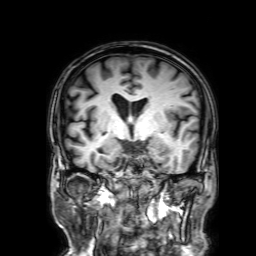
3 Tesla brain MRI.
Series: 3D T1-weighted with SENSE.
Study: ring-enhancing brain masses.